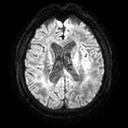
Summary:
3 Tesla brain MRI. Series: diffusion tensor imaging (medium iso). Study: ring-enhancing brain masses.